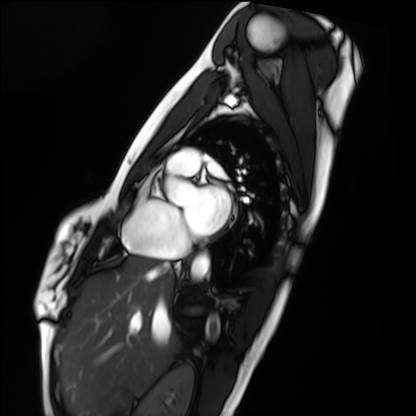
modality: cardiac MRI
cohort: healthy volunteer